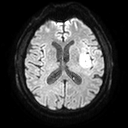
3 Tesla brain MRI.
Series: diffusion tensor imaging (medium iso).
Study: ring-enhancing brain masses.